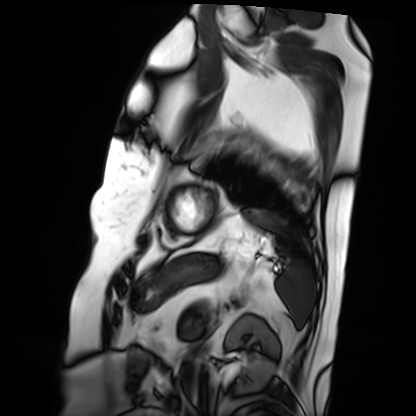
Clinical context:
Cardiac MRI. Subject group: patient.